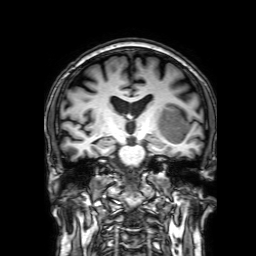
Summary: 3 Tesla brain MRI. Series: 3D T1-weighted with SENSE. Study: ring-enhancing brain masses.